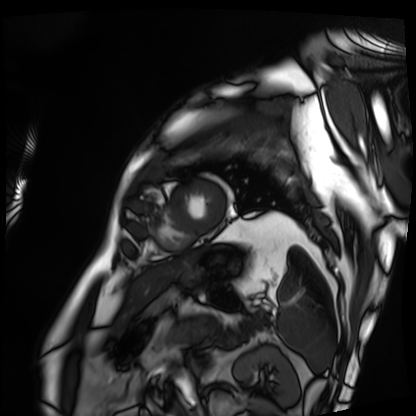
Cardiac MRI.
Subject group: patient.